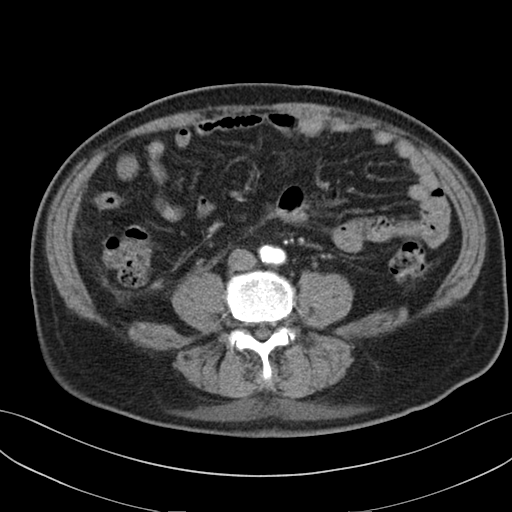
• modality · multiphase abdominal CT, liver, arterial phase